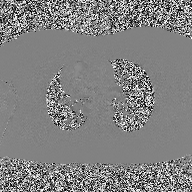
{
  "modality": {
    "type": "2D phase-contrast cine MRI",
    "region": "ascending aorta",
    "reconstruction": "high-resolution GRAPPA acquisition"
  }
}